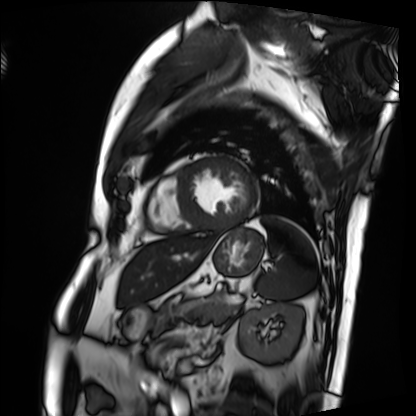
modality: cardiac MRI; subject group: patient.